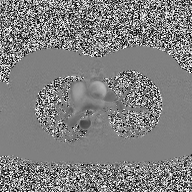
2D phase-contrast cine MRI of the ascending aorta, high-resolution GRAPPA acquisition.